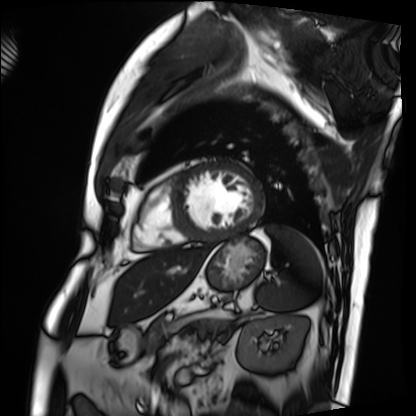
Cardiac MRI. Subject group: patient.